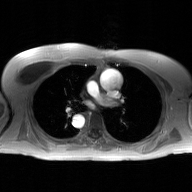
modality = 2D phase-contrast cine MRI of the ascending aorta, GAN super-resolution reconstruction.